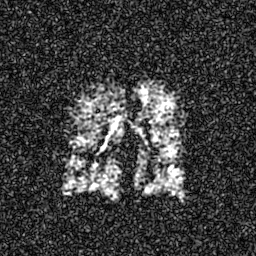
Summary:
Hyperpolarized 129Xe ventilation MRI of the lungs. SNR level 6 of 8 (the deposit holds this scan as its native image and as seven SNR-degraded versions).